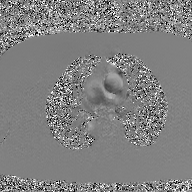
2D phase-contrast cine MRI of the ascending aorta, GAN super-resolution reconstruction.